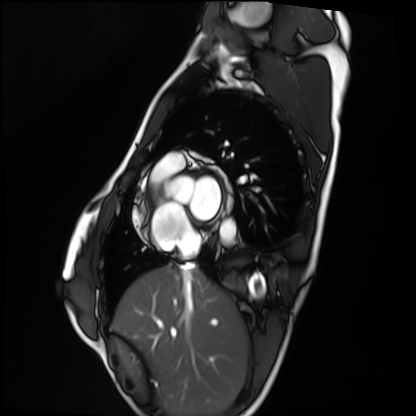
modality = cardiac MRI; subject group = healthy volunteer.